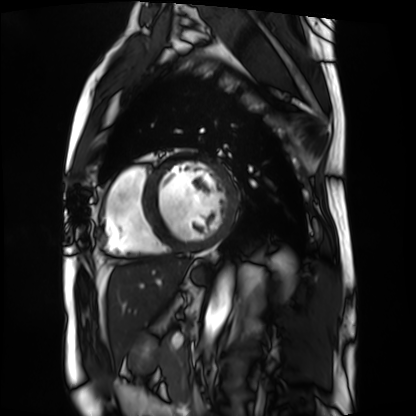
<scan>
<modality>cardiac MRI</modality>
<cohort>patient</cohort>
</scan>